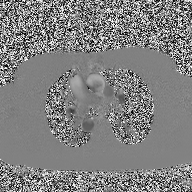
Clinical context: 2D phase-contrast cine MRI of the ascending aorta, high-resolution GRAPPA acquisition.